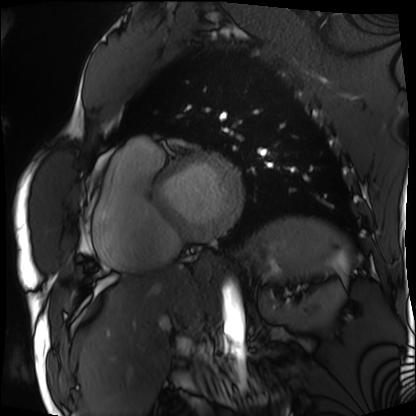
Q: What kind of scan is this?
A: Cardiac MRI.
Subject group: patient.